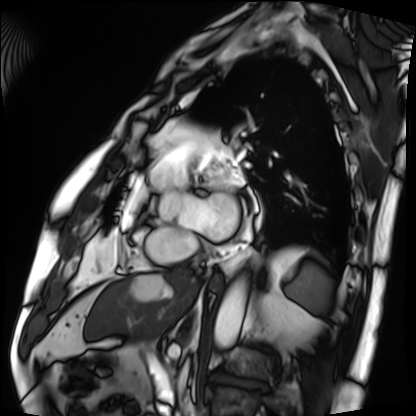
- modality · cardiac MRI
- subject group · patient